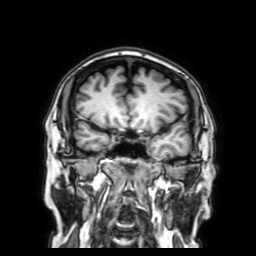
3 Tesla brain MRI. Series: 3D T1-weighted with SENSE. Study: ring-enhancing brain masses.